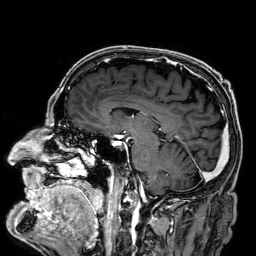
modality: 3 Tesla brain MRI | series: 3D T1-weighted | study: ring-enhancing brain masses.